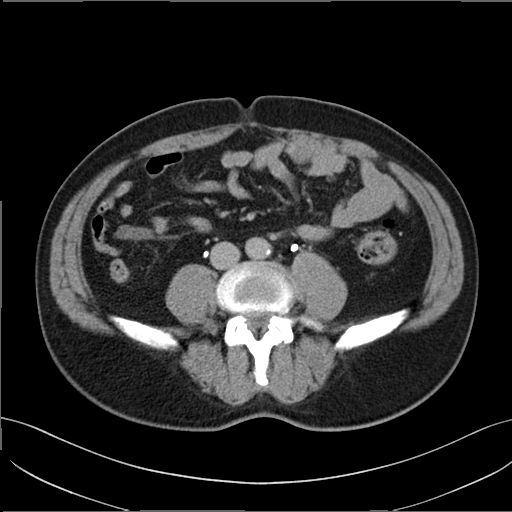
Case summary:
Multiphase abdominal CT, liver, delayed phase. Patient: male, age 51. History: prior chemotherapy.